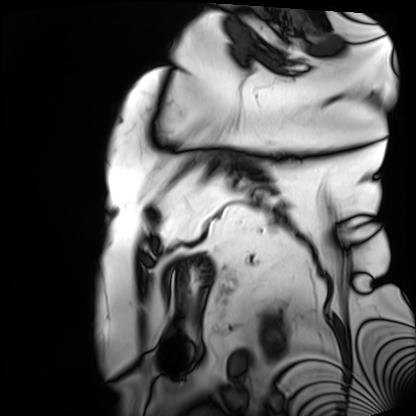
<study>
  <modality>cardiac MRI</modality>
  <cohort>patient</cohort>
</study>